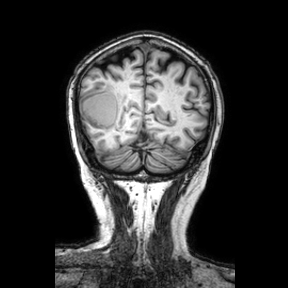
3 Tesla brain MRI. Series: coronal. Study: ring-enhancing brain masses.